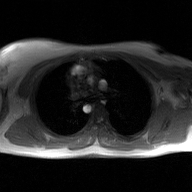
2D phase-contrast cine MRI of the ascending aorta, GAN super-resolution reconstruction.